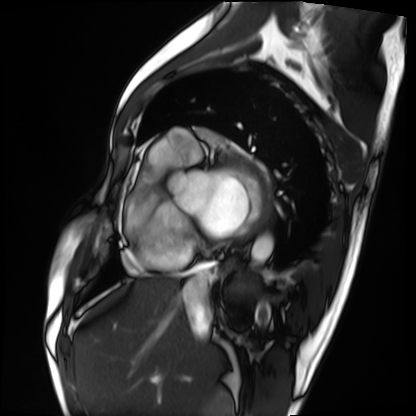
Case summary: Cardiac MRI. Subject group: patient.